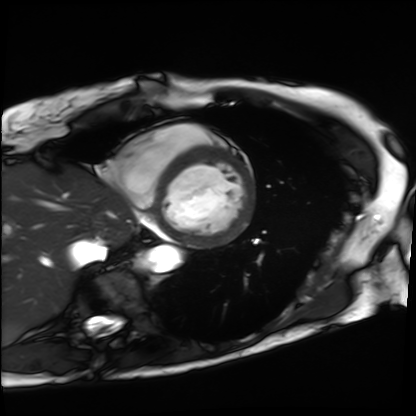
Cardiac MRI. Subject group: patient.